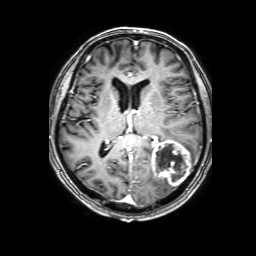
3 Tesla brain MRI. Series: 3D T1-weighted with SENSE. Study: ring-enhancing brain masses.